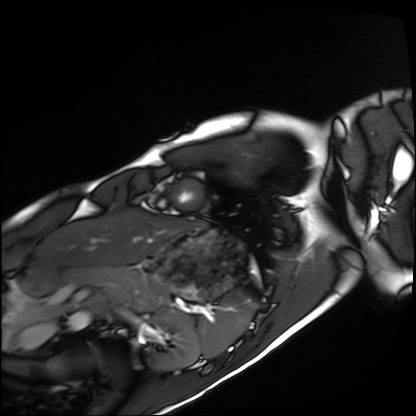
Cardiac MRI. Subject group: healthy volunteer.